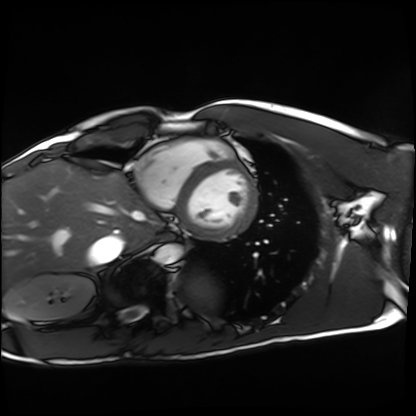
Q: What kind of scan is this?
A: Cardiac MRI.
Subject group: healthy volunteer.